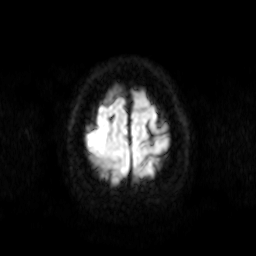
modality:
  type: brain MRI
  field_strength: 3T
series: diffusion-weighted imaging
study_topic: ring-enhancing brain masses